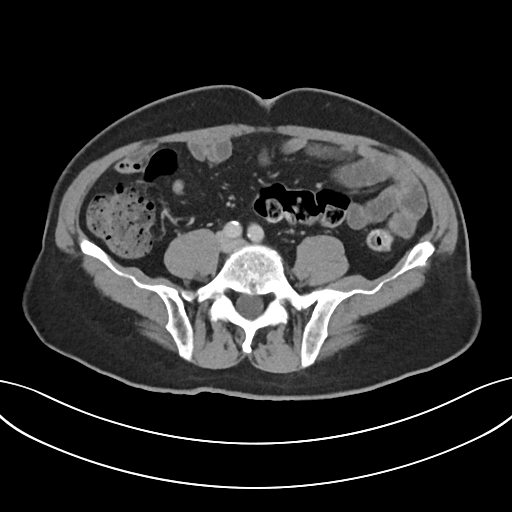
– modality: multiphase abdominal CT, liver, portal venous phase
– patient: male, age 72
– history: prior chemotherapy